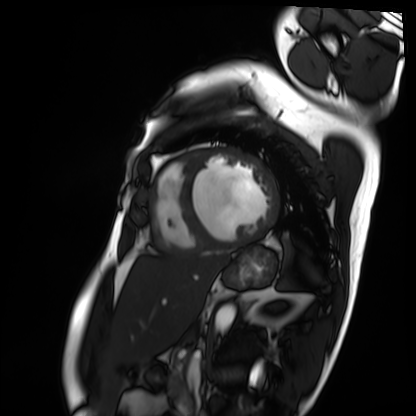
Cardiac MRI.
Subject group: patient.